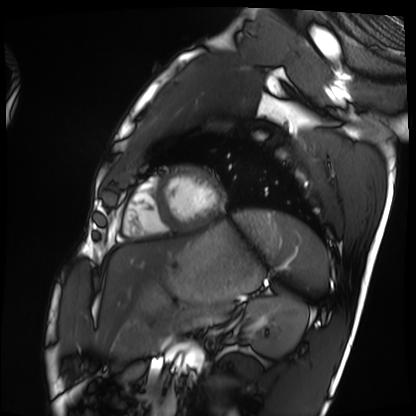
modality: cardiac MRI
subject group: healthy volunteer